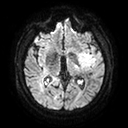
3 Tesla brain MRI. Series: diffusion tensor imaging (medium iso). Study: ring-enhancing brain masses.